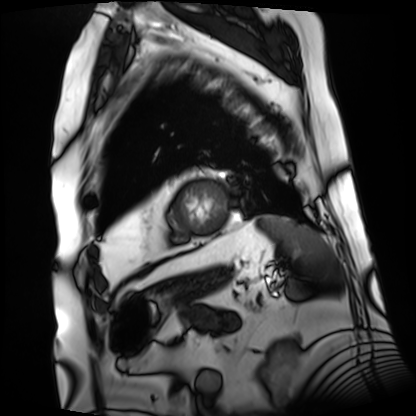
{"modality": "cardiac MRI", "cohort": "patient"}